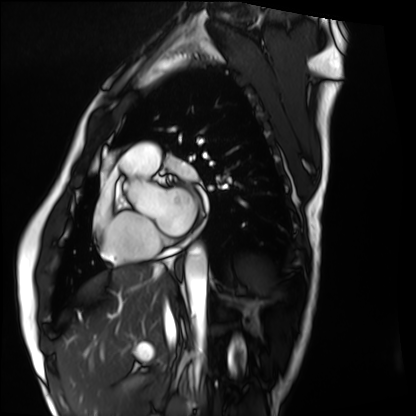
– modality — cardiac MRI
– subject group — healthy volunteer